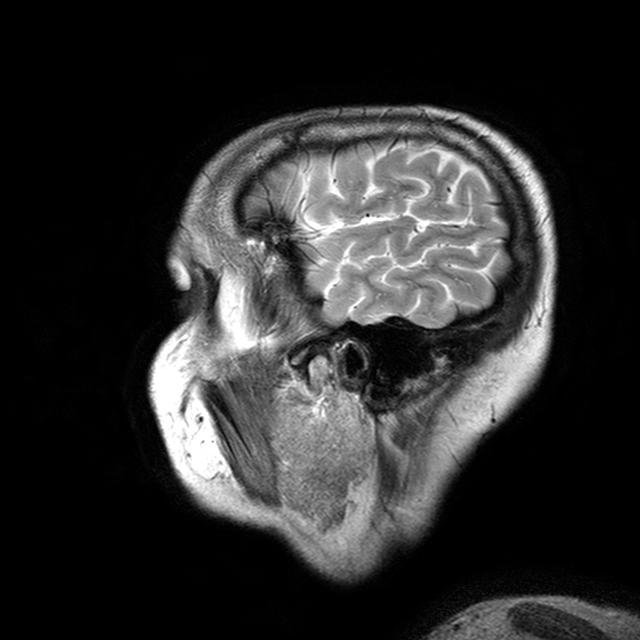
3 Tesla brain MRI. Series: T2-weighted turbo spin echo with CLEAR. Study: ring-enhancing brain masses.